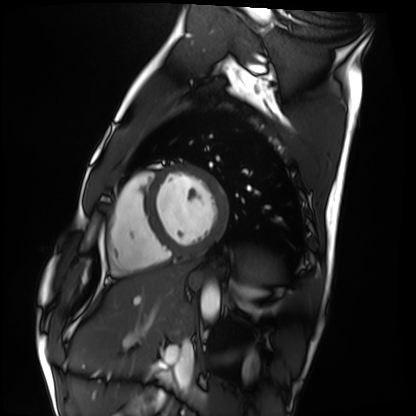
Cardiac MRI. Subject group: healthy volunteer.